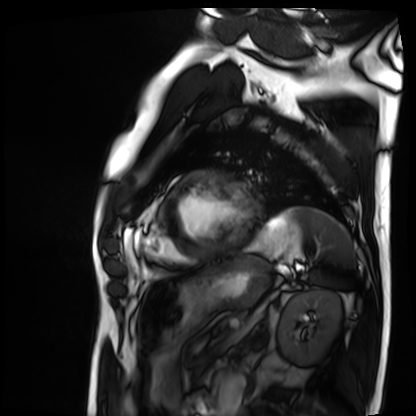
Case:
- modality · cardiac MRI
- subject group · patient